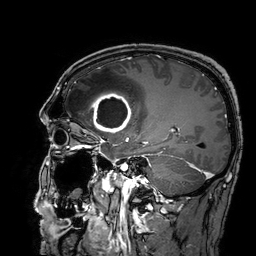
{
  "modality": {
    "type": "brain MRI",
    "field_strength": "3T"
  },
  "series": "3D T1-weighted turbo field echo with SENSE",
  "study_topic": "ring-enhancing brain masses"
}